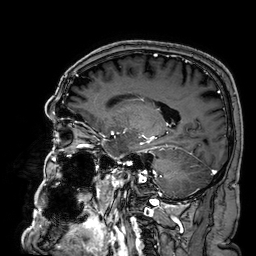
3 Tesla brain MRI. Series: 3D T1-weighted. Study: ring-enhancing brain masses.